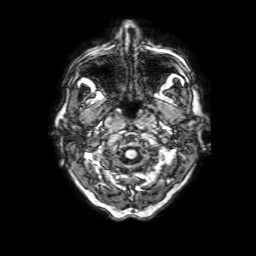
  modality:
    type: brain MRI
    field_strength: 3T
  series: 3D T1-weighted with SENSE
  study_topic: ring-enhancing brain masses